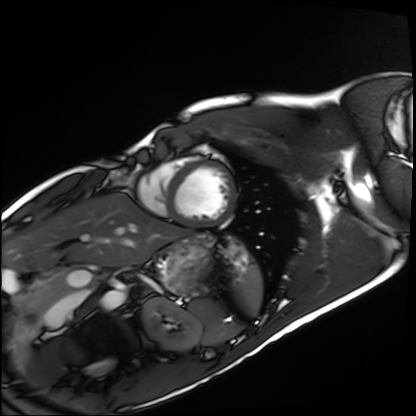
Summary: Cardiac MRI. Subject group: healthy volunteer.